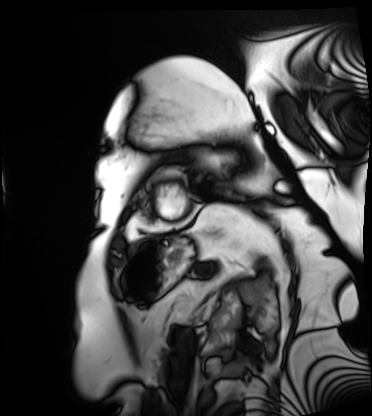
modality = cardiac MRI, subject group = patient.